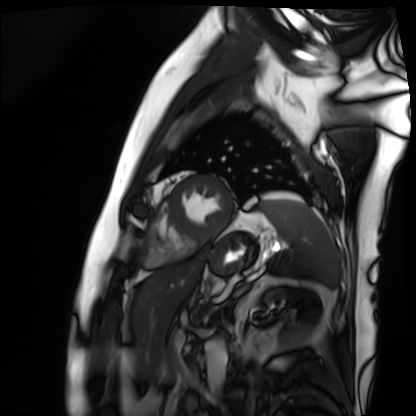
Summary:
Cardiac MRI. Subject group: patient.